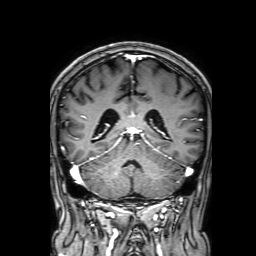
Summary:
3 Tesla brain MRI. Series: 3D T1-weighted with SENSE. Study: ring-enhancing brain masses.